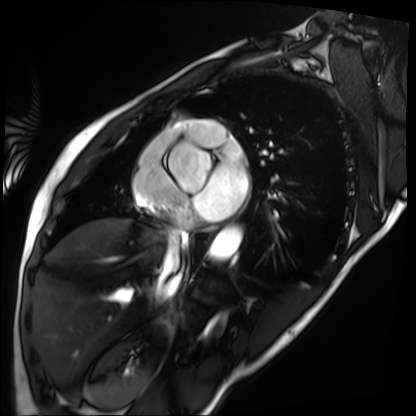
* modality: cardiac MRI
* subject group: patient